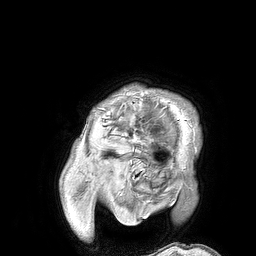
modality: 3 Tesla brain MRI; series: 3D T1-weighted turbo field echo; study: ring-enhancing brain masses.